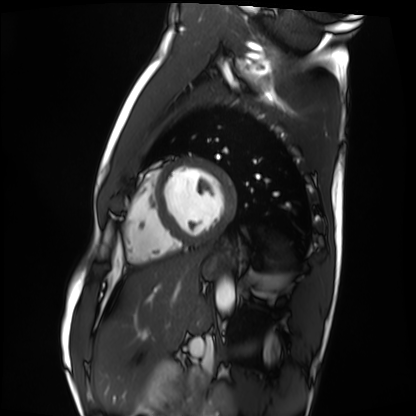
Cardiac MRI. Subject group: healthy volunteer.